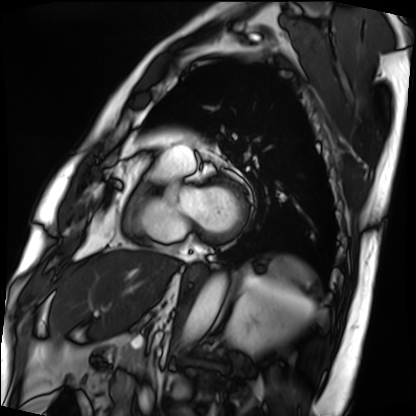
Clinical context:
Cardiac MRI. Subject group: patient.